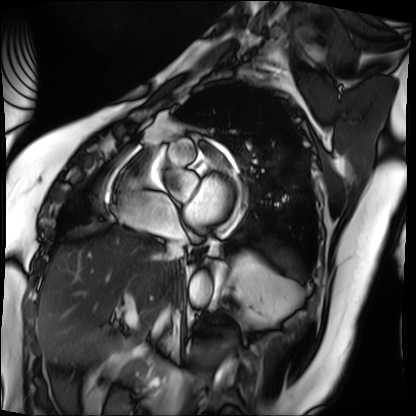
Cardiac MRI.
Subject group: patient.